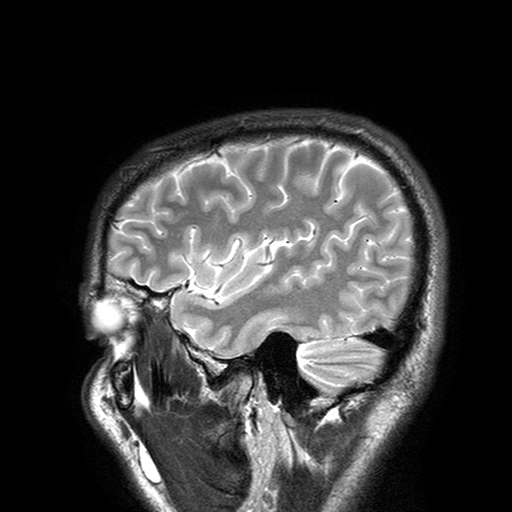
Clinical context: 3 Tesla brain MRI. Series: T2-weighted turbo spin echo with SENSE. Study: ring-enhancing brain masses.